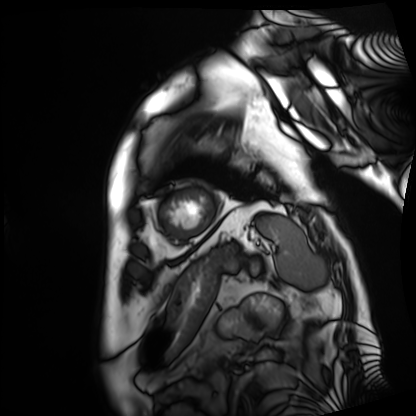
  modality: cardiac MRI
  cohort: patient